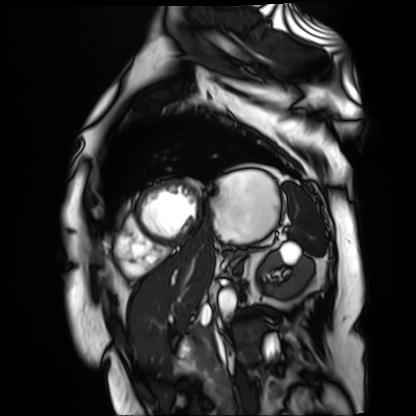
Summary:
Cardiac MR image of the myocardium. Subject cohort: cardiac patient.